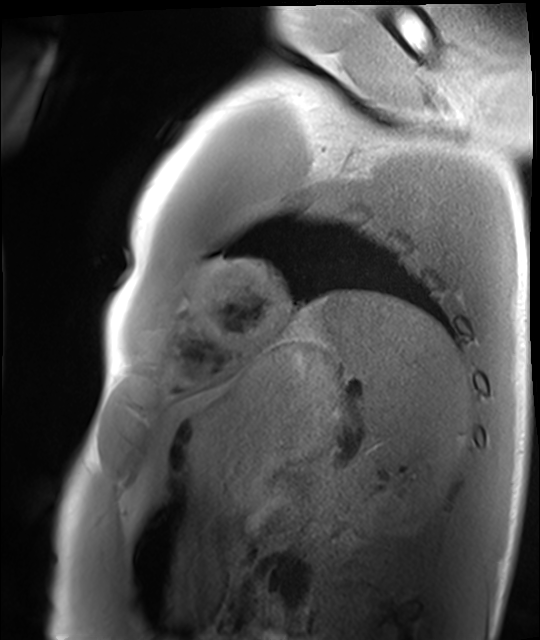
Cardiac MRI. Subject group: healthy volunteer.